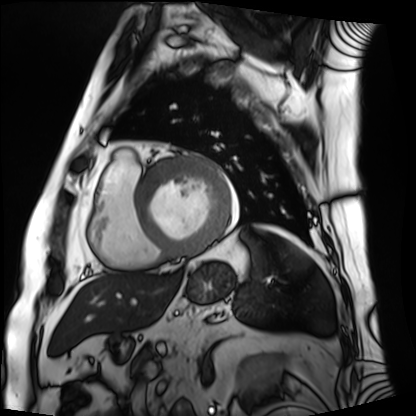
– modality · cardiac MRI
– subject group · patient